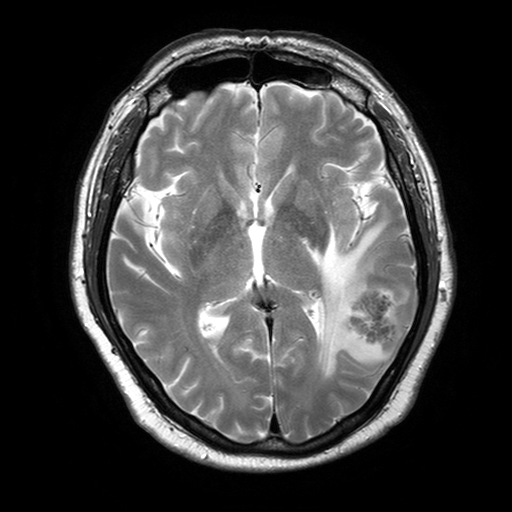
3 Tesla brain MRI. Series: T2-weighted turbo spin echo with SENSE. Study: ring-enhancing brain masses.